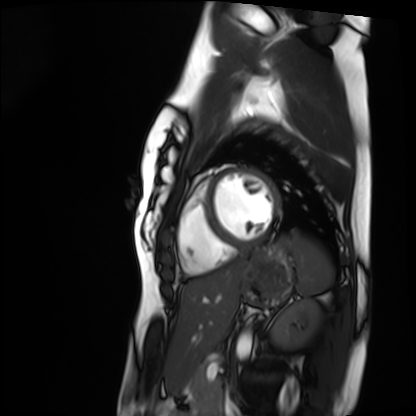
- modality · cardiac MRI
- subject group · healthy volunteer